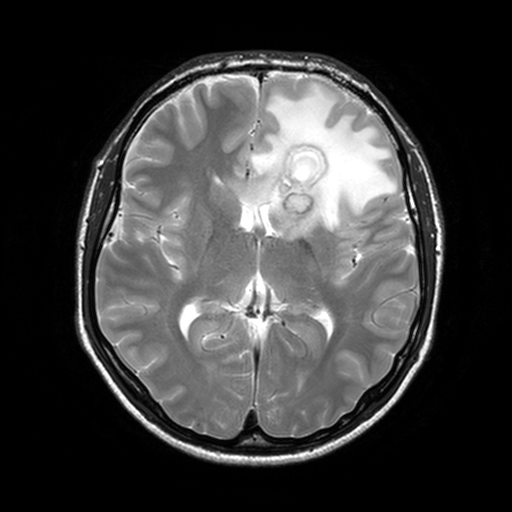
3 Tesla brain MRI. Series: T2-weighted turbo spin echo, 3 mm. Study: ring-enhancing brain masses.